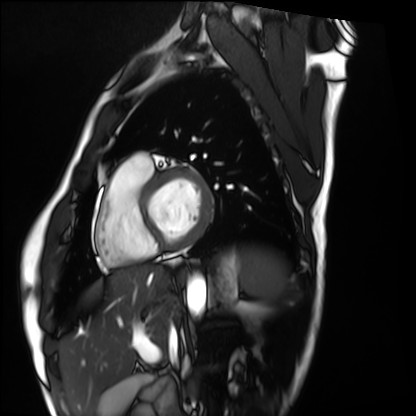
Summary: Cardiac MRI. Subject group: healthy volunteer.